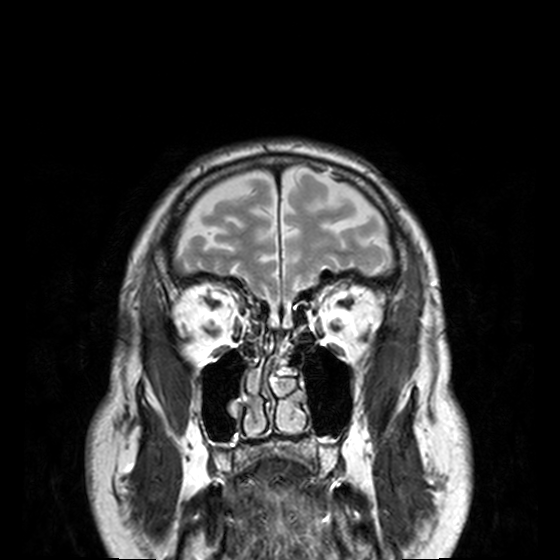
modality: 3 Tesla brain MRI | series: T2-weighted turbo spin echo, 3 mm | study: ring-enhancing brain masses.